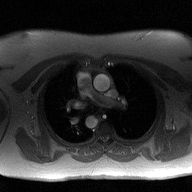
<scan>
  <modality>
    <type>2D phase-contrast cine MRI</type>
    <region>ascending aorta</region>
    <reconstruction>high-resolution GRAPPA acquisition</reconstruction>
  </modality>
</scan>